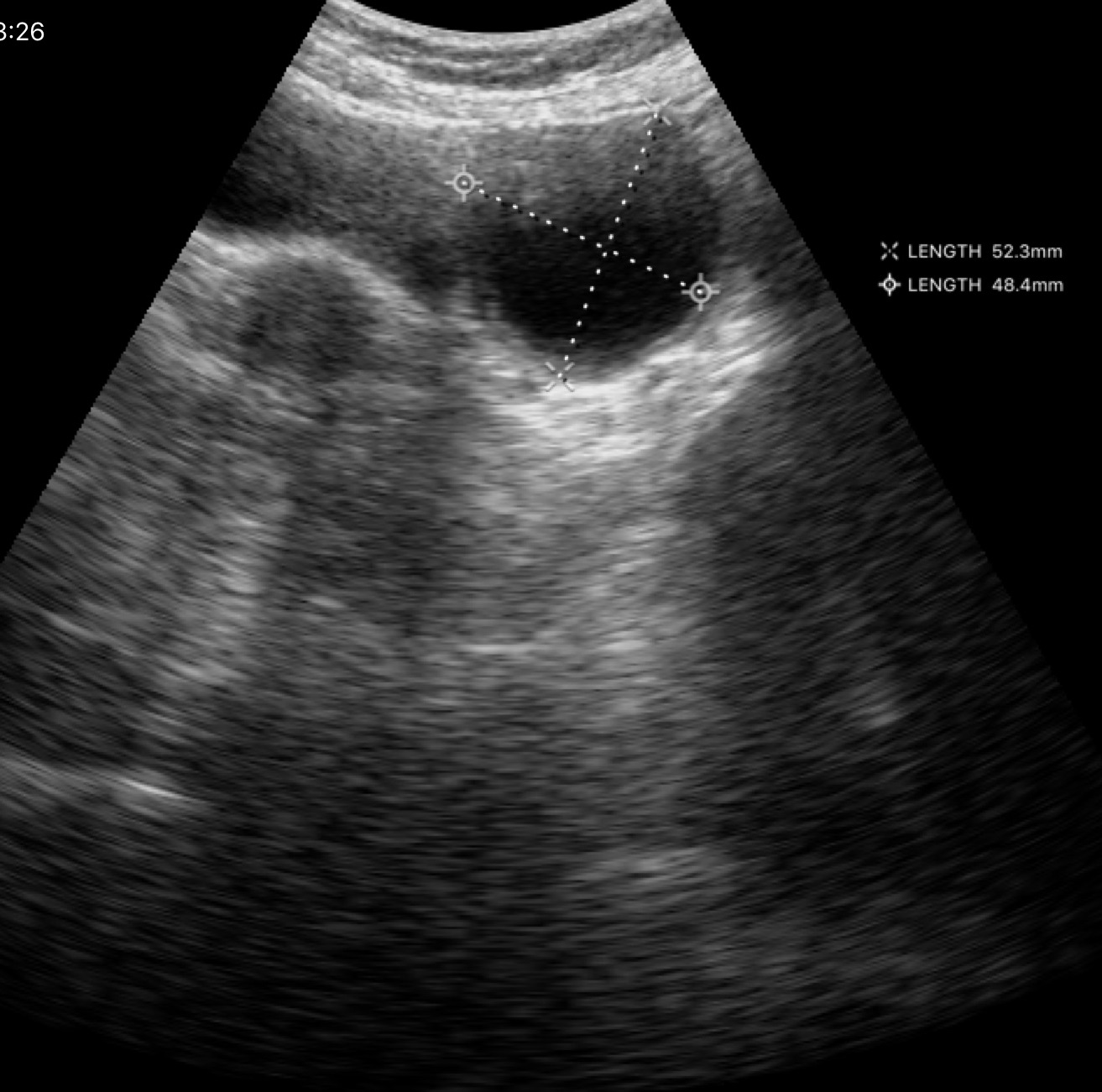
modality=genitourinary ultrasound